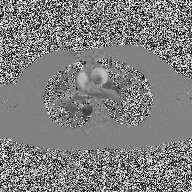
modality — 2D phase-contrast cine MRI of the ascending aorta.